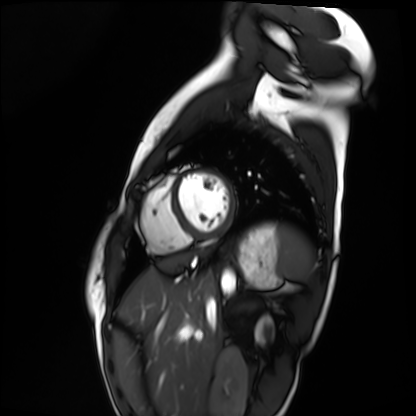
modality = cardiac MRI, subject group = healthy volunteer.